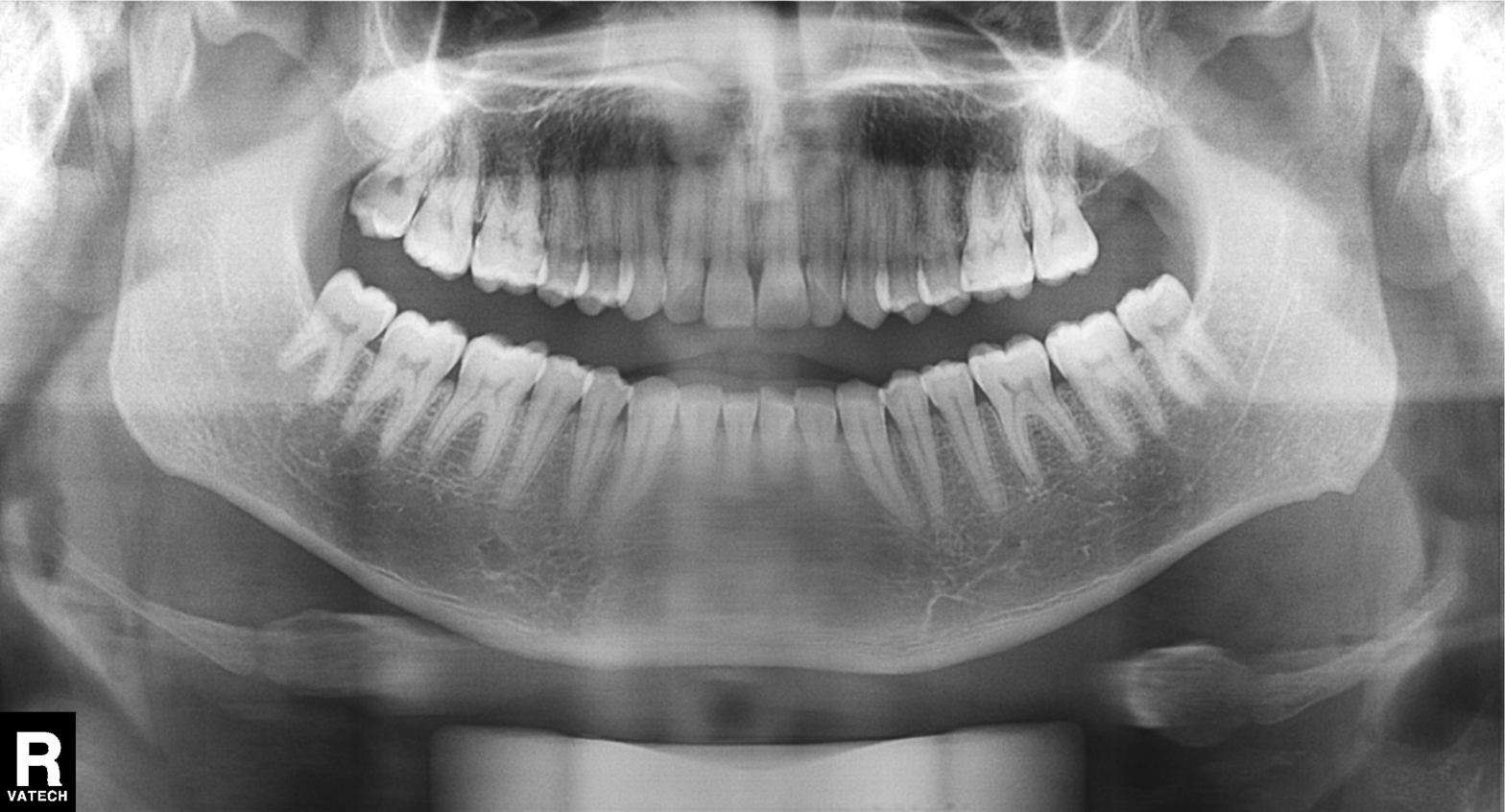
modality: panoramic dental radiograph (orthopantomogram); finding: dental caries (cavities).